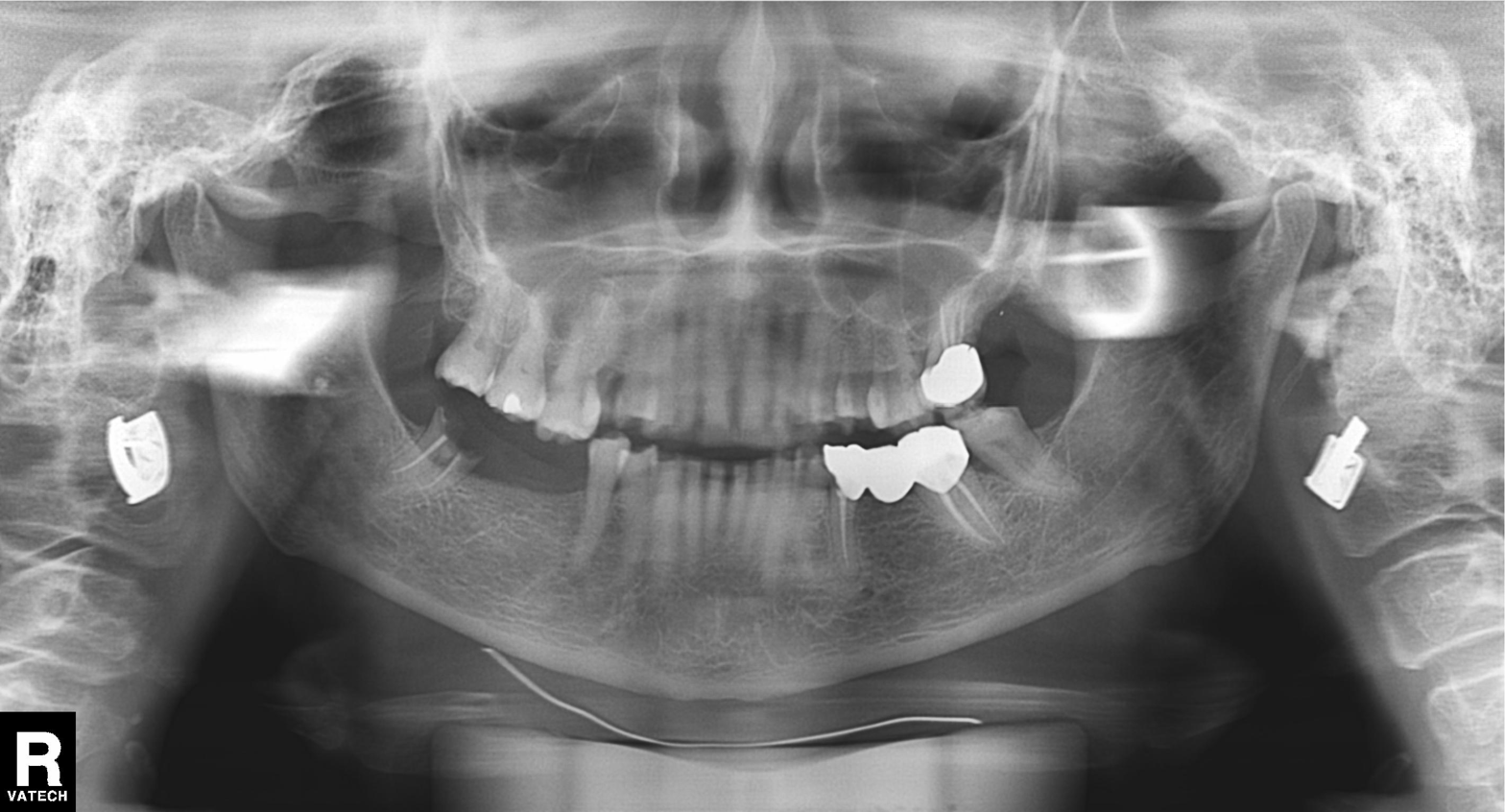
modality: panoramic dental radiograph (orthopantomogram)
finding: alveolar bone loss